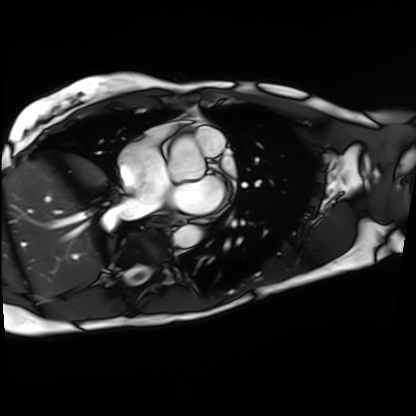
modality=cardiac MRI
subject group=patient